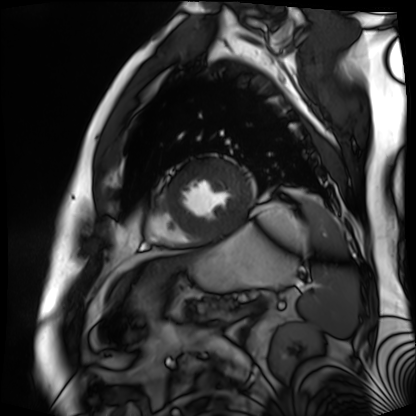
- modality: cardiac MR image of the myocardium
- subject cohort: cardiac patient